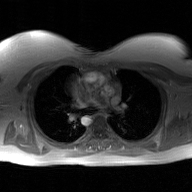
{
  "modality": {
    "type": "2D phase-contrast cine MRI",
    "region": "ascending aorta",
    "reconstruction": "GAN super-resolution reconstruction"
  }
}